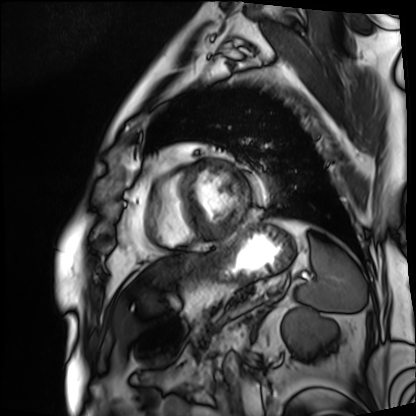
Cardiac MRI. Subject group: patient.